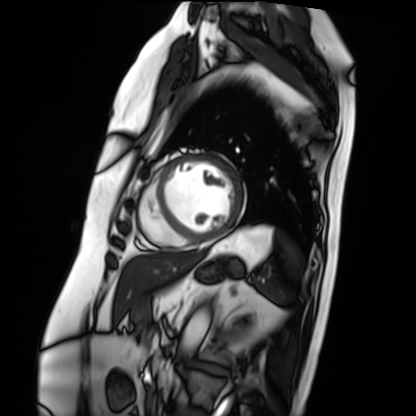
Cardiac MRI.
Subject group: patient.